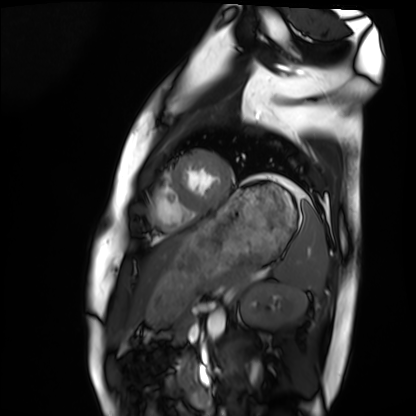
Summary: Cardiac MRI. Subject group: healthy volunteer.